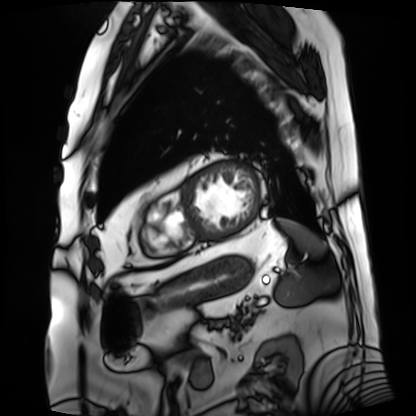
Case summary:
Cardiac MRI. Subject group: patient.